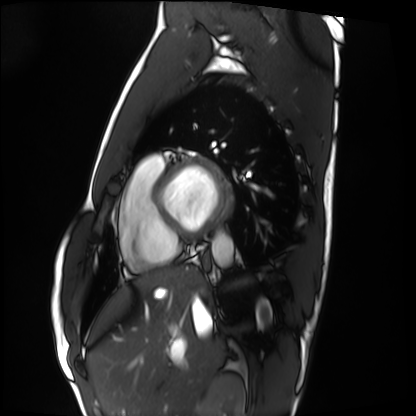
Cardiac MRI.
Subject group: healthy volunteer.